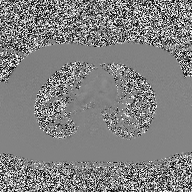
2D phase-contrast cine MRI of the ascending aorta, high-resolution GRAPPA acquisition.